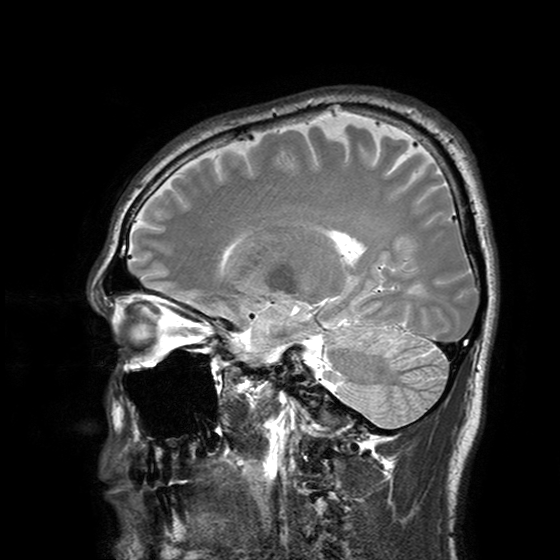
3 Tesla brain MRI.
Series: T2-weighted turbo spin echo with SENSE.
Study: ring-enhancing brain masses.